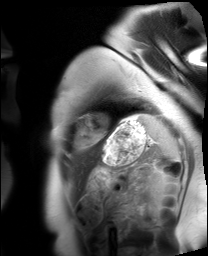
Cardiac MRI. Subject group: healthy volunteer.